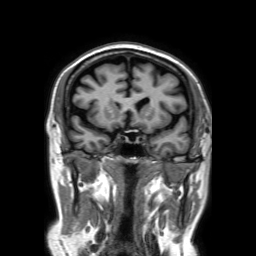
{
  "modality": {
    "type": "brain MRI",
    "field_strength": "3T"
  },
  "series": "3D T1-weighted TFE with SENSE",
  "study_topic": "ring-enhancing brain masses"
}